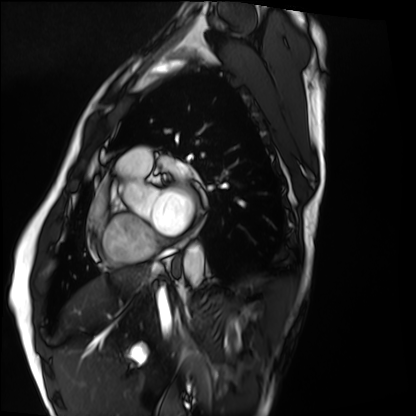
• modality — cardiac MRI
• subject group — healthy volunteer